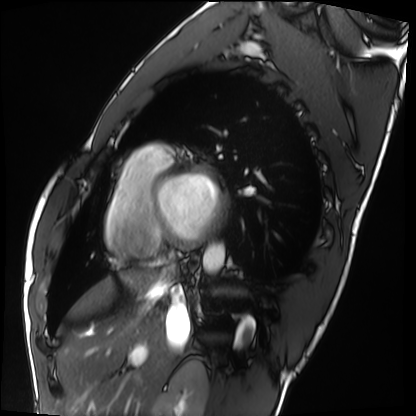
Q: What kind of scan is this?
A: Cardiac MRI.
Subject group: healthy volunteer.